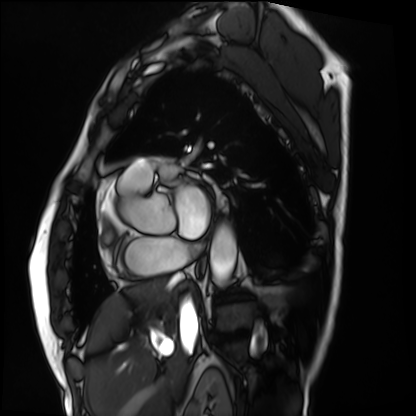
Cardiac MRI.
Subject group: patient.